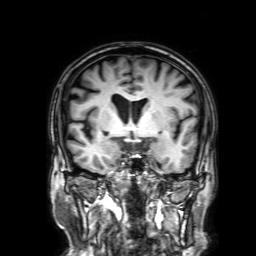
3 Tesla brain MRI. Series: 3D T1-weighted with SENSE. Study: ring-enhancing brain masses.